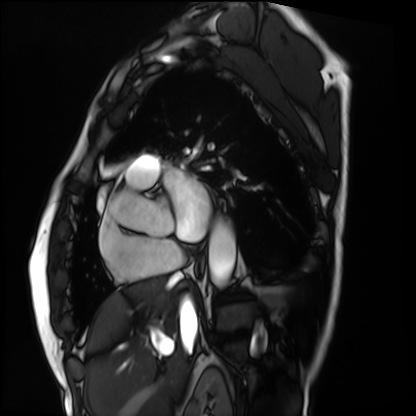
Case summary: Cardiac MRI. Subject group: patient.